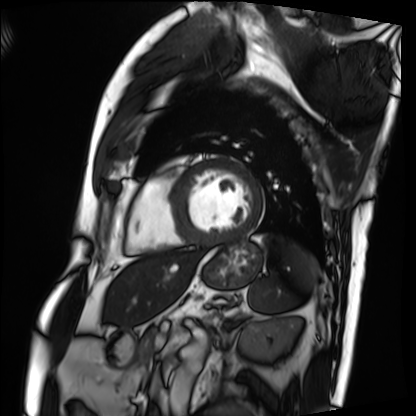
Cardiac MRI.
Subject group: patient.